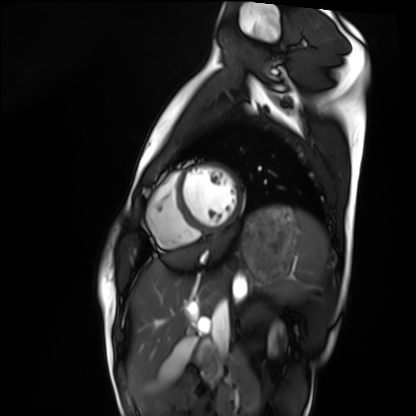
- modality: cardiac MRI
- subject group: healthy volunteer